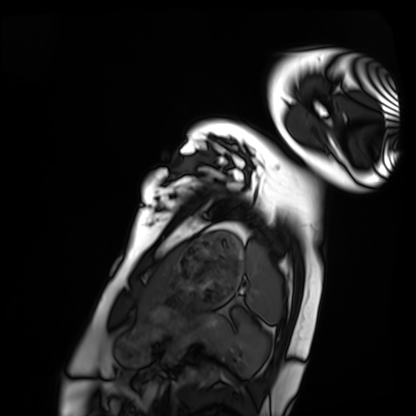
modality: cardiac MRI, subject group: healthy volunteer.